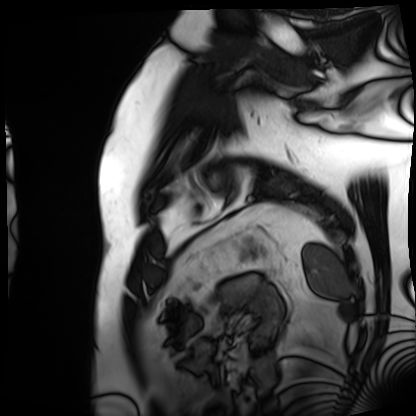
{
  "modality": "cardiac MRI",
  "cohort": "patient"
}